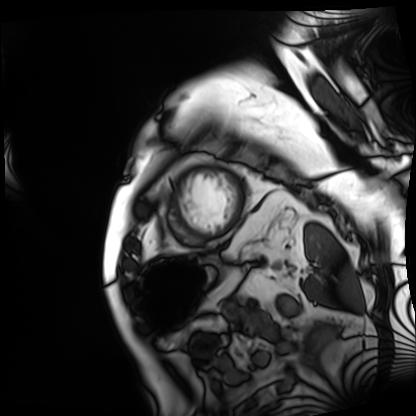
{"modality": "cardiac MRI", "cohort": "patient"}